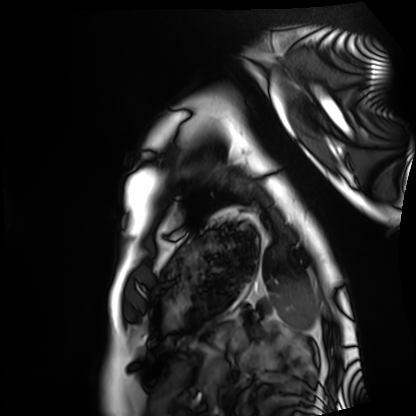
modality: cardiac MRI; subject group: healthy volunteer.